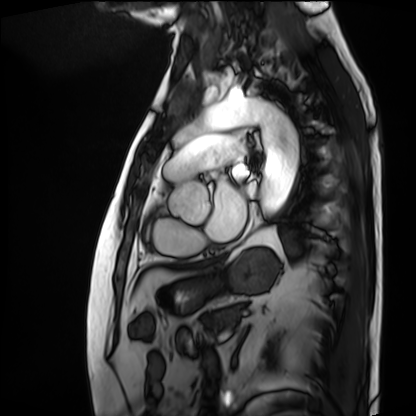
Cardiac MRI.
Subject group: patient.